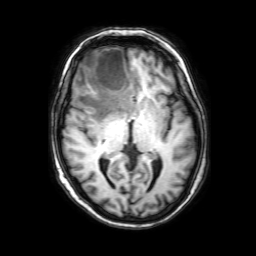
3 Tesla brain MRI.
Series: 3D T1-weighted with SENSE.
Study: ring-enhancing brain masses.